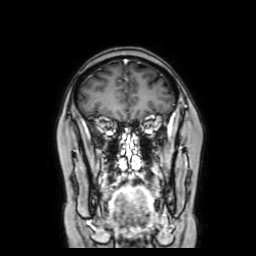
Clinical context:
3 Tesla brain MRI. Series: coronal with contrast. Study: ring-enhancing brain masses.